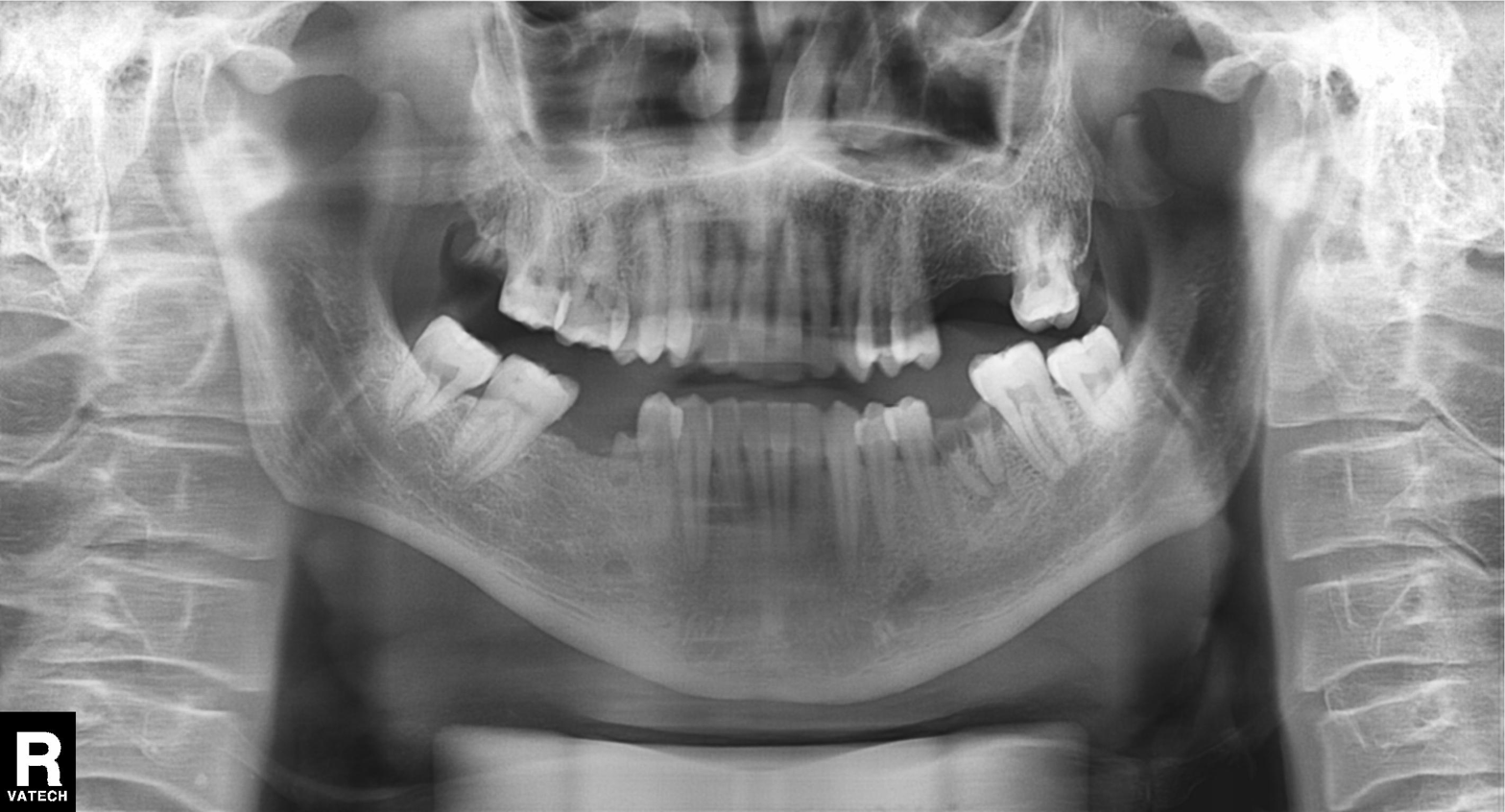
modality: panoramic dental radiograph (orthopantomogram)
finding: alveolar bone loss